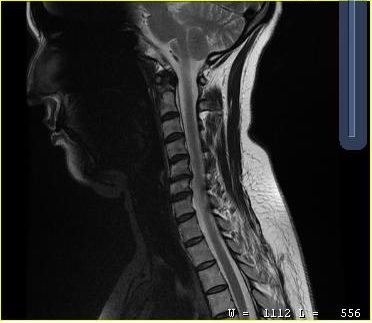
Case summary: MRI of the cervical spine. Study: cervical spondylosis.